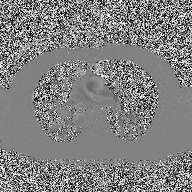
2D phase-contrast cine MRI of the ascending aorta, high-resolution GRAPPA acquisition.